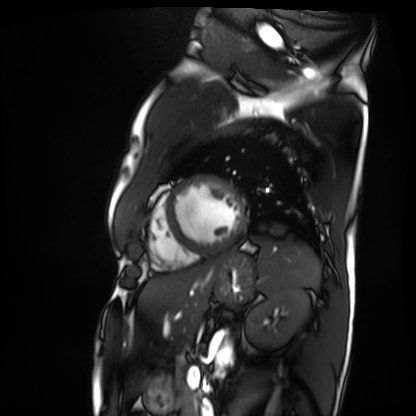
Cardiac MRI.
Subject group: patient.